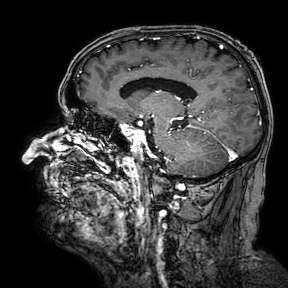
Q: What kind of scan is this?
A: 3 Tesla brain MRI.
Q: Series?
A: 3D T1-weighted turbo field echo with SENSE.
Study: ring-enhancing brain masses.